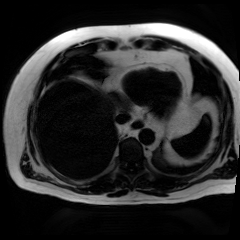
{"modality": "chemical-shift-encoded cardiac MRI"}